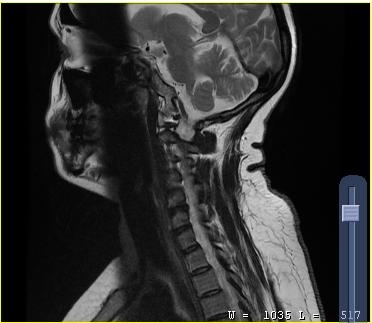
modality: MRI of the cervical spine | study: cervical spondylosis.